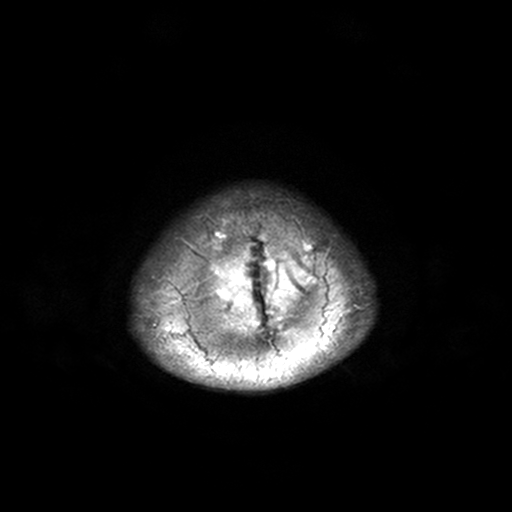
3 Tesla brain MRI. Series: T2-weighted turbo spin echo, 3 mm. Study: ring-enhancing brain masses.